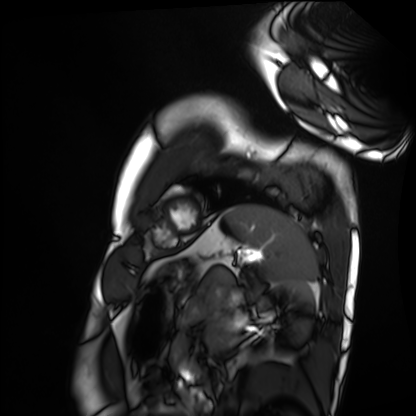
Case summary:
Cardiac MRI. Subject group: healthy volunteer.